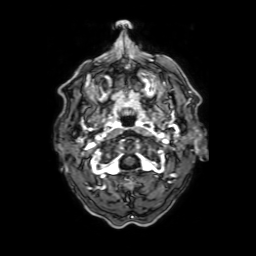
Q: What kind of scan is this?
A: 3 Tesla brain MRI.
Q: Series?
A: Axial T1-weighted fusion image.
Study: ring-enhancing brain masses.